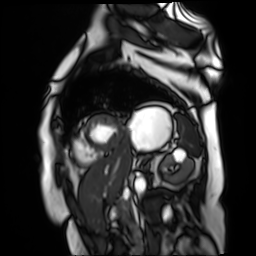
Q: What kind of scan is this?
A: Cardiac MR image of the myocardium.
Subject cohort: cardiac patient.